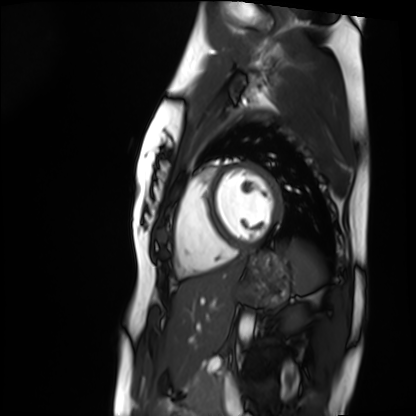
| field | value |
|---|---|
| modality | cardiac MRI |
| subject group | healthy volunteer |